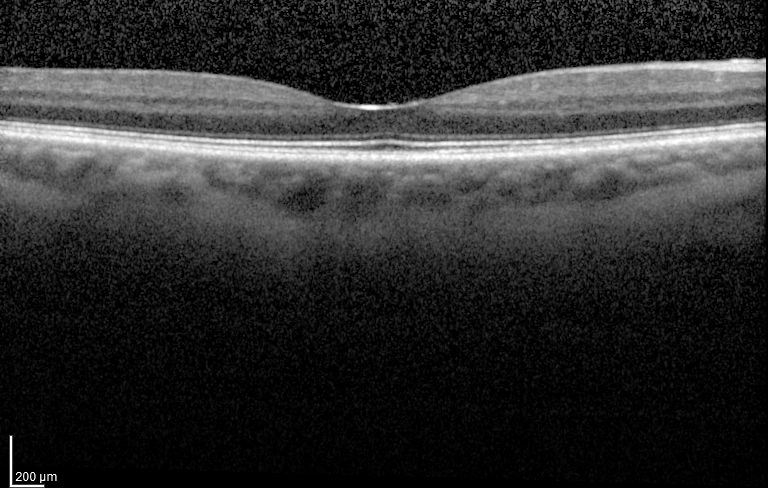
Spectral-domain optical coherence tomography (SD-OCT) of the macula. Subject: female, age 73, right eye. Cohort: non-diabetic control. ETDRS-grid retinal thickness (μm): central 247, inner temporal 305, inner nasal 320, inner superior 316, inner inferior 317, outer temporal 272, outer nasal 304, outer inferior 286.